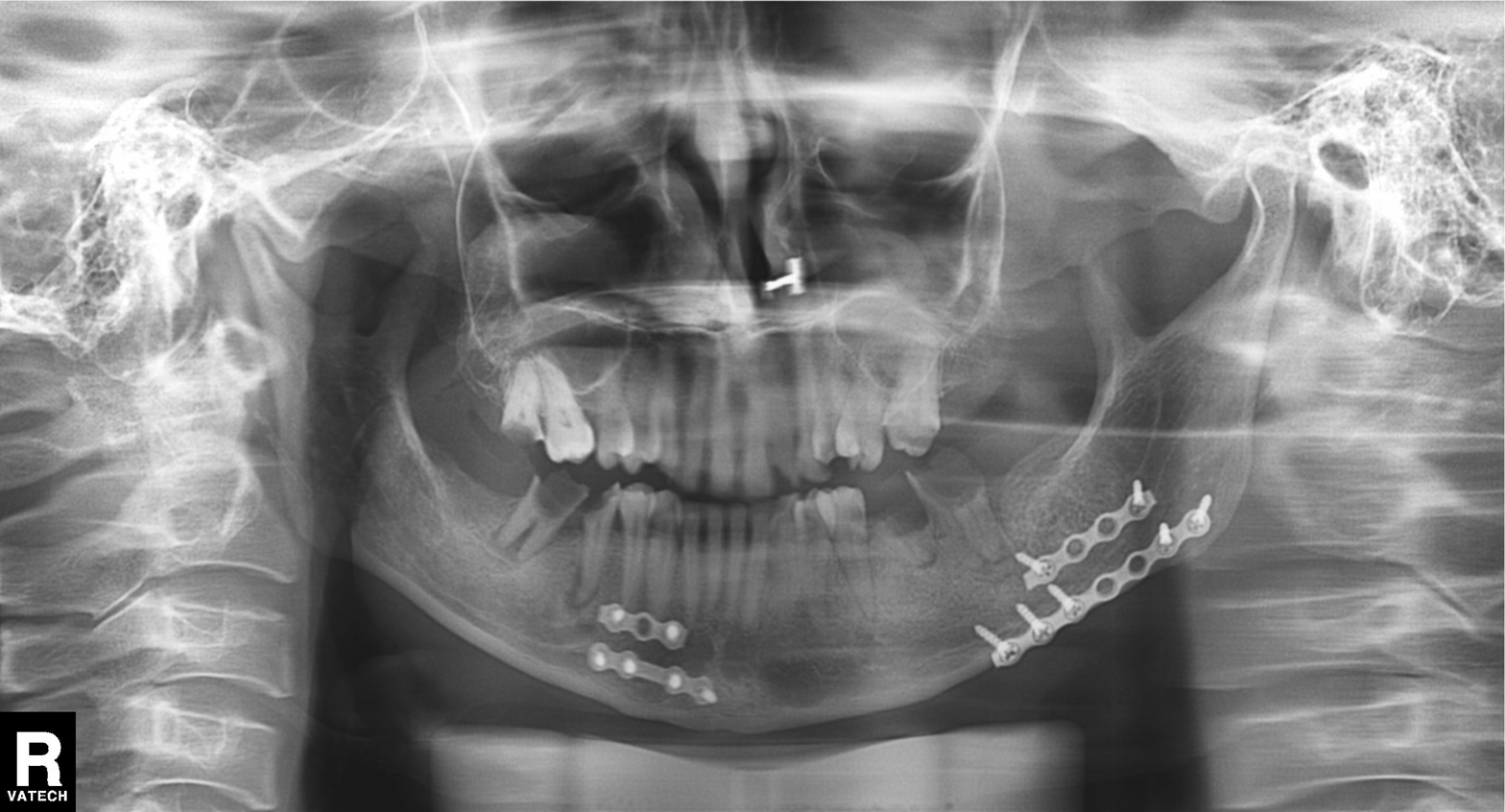
<study>
<modality>panoramic dental radiograph (orthopantomogram)</modality>
<finding>alveolar bone loss</finding>
</study>